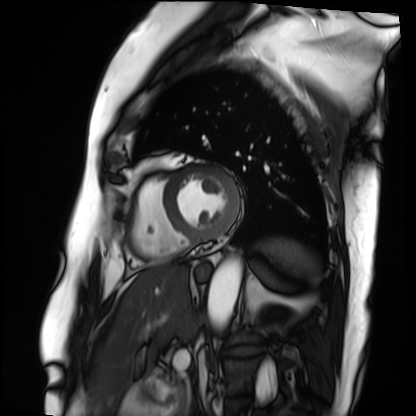
Cardiac MRI. Subject group: patient.